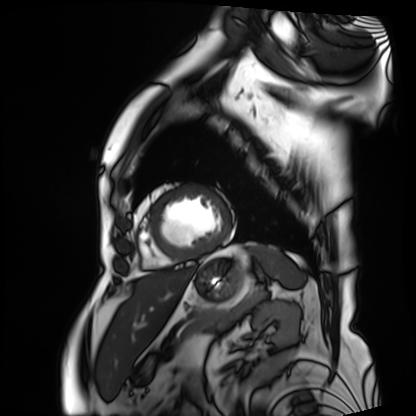
| field | value |
|---|---|
| modality | cardiac MRI |
| subject group | patient |